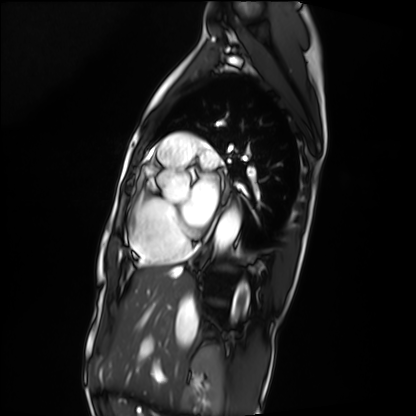
modality: cardiac MRI; subject group: patient.